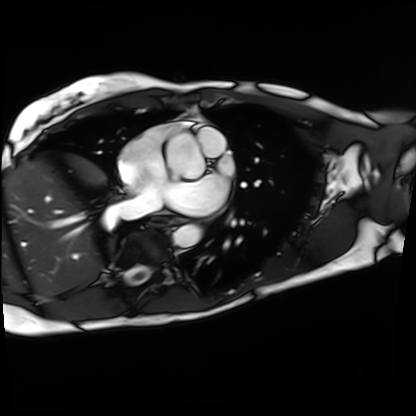
modality = cardiac MRI
subject group = patient